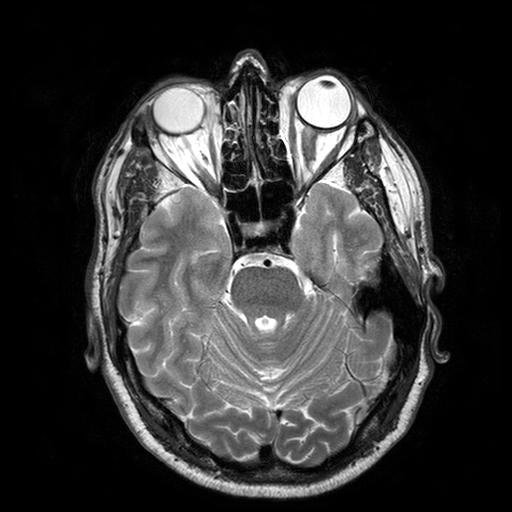
3 Tesla brain MRI. Series: T2-weighted turbo spin echo with SENSE. Study: ring-enhancing brain masses.